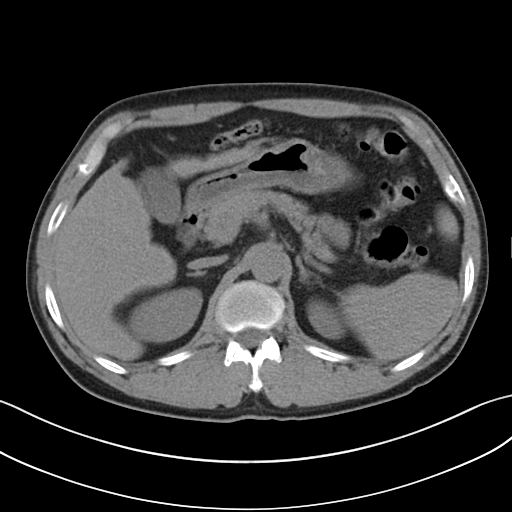
Clinical context: Multiphase abdominal CT, liver, non-contrast phase.